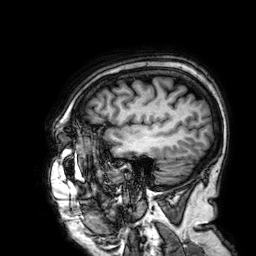
  modality:
    type: brain MRI
    field_strength: 3T
  study_topic: ring-enhancing brain masses